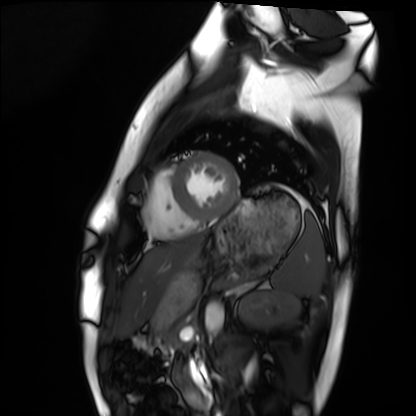
Clinical context: Cardiac MRI. Subject group: healthy volunteer.